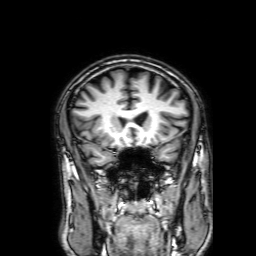
* modality: 3 Tesla brain MRI
* study: ring-enhancing brain masses